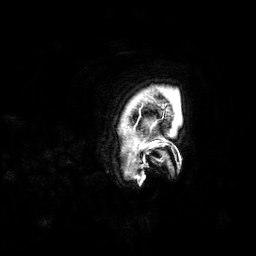
3 Tesla brain MRI. Series: 3D T1-weighted. Study: ring-enhancing brain masses.